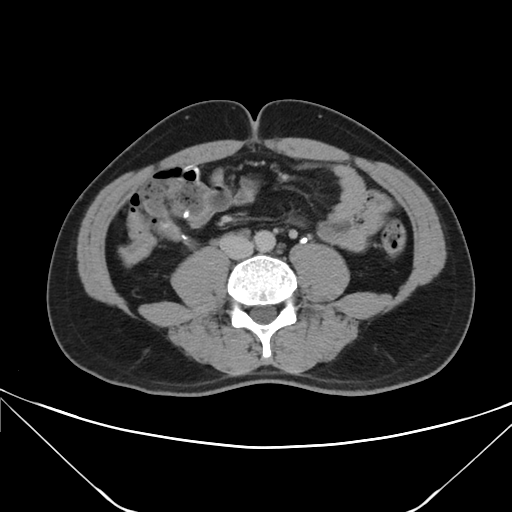
Case summary: Multiphase abdominal CT, liver, delayed phase. Patient: male, age 35. History: prior chemotherapy.